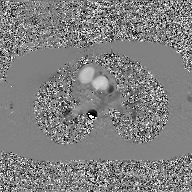
2D phase-contrast cine MRI of the ascending aorta, GAN super-resolution reconstruction.